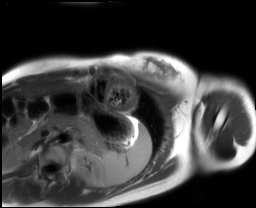
<scan>
  <modality>cardiac MRI</modality>
  <cohort>healthy volunteer</cohort>
</scan>